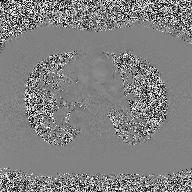
<case>
  <modality>
    <type>2D phase-contrast cine MRI</type>
    <region>ascending aorta</region>
    <reconstruction>high-resolution GRAPPA acquisition</reconstruction>
  </modality>
</case>